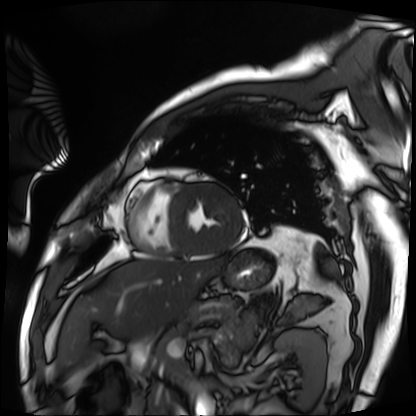
Summary:
Cardiac MRI. Subject group: patient.